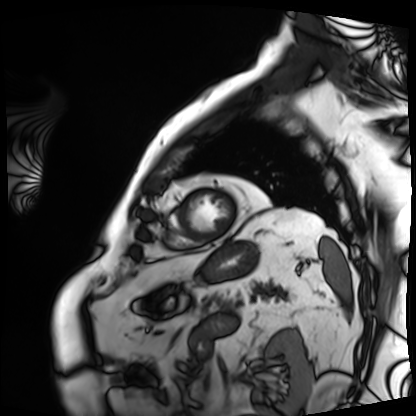
| field | value |
|---|---|
| modality | cardiac MRI |
| subject group | patient |